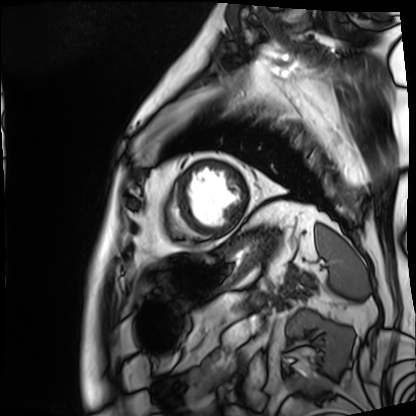
modality=cardiac MRI
subject group=patient